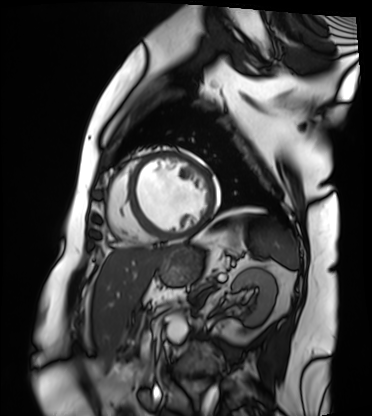
Case summary:
Cardiac MRI. Subject group: patient.